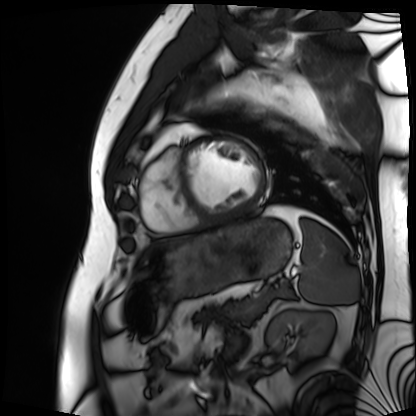
Cardiac MRI.
Subject group: patient.